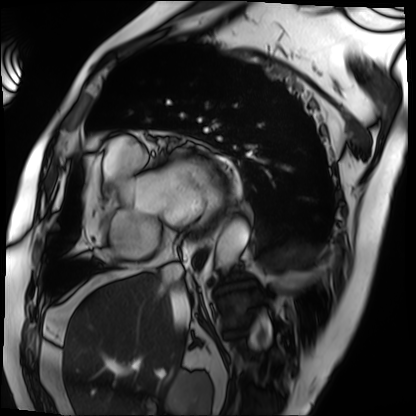
Cardiac MRI. Subject group: patient.